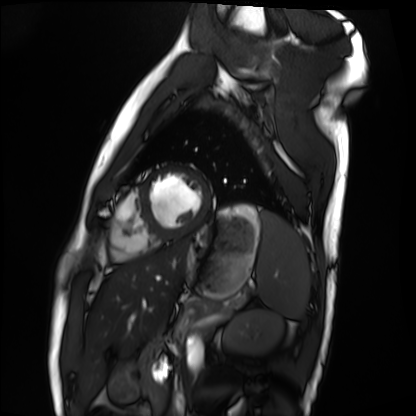
Clinical context: Cardiac MRI. Subject group: healthy volunteer.